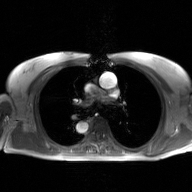
Case:
• modality: 2D phase-contrast cine MRI of the ascending aorta, GAN super-resolution reconstruction